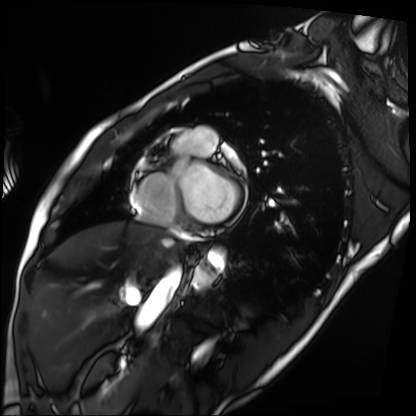
Case summary: Cardiac MRI. Subject group: patient.